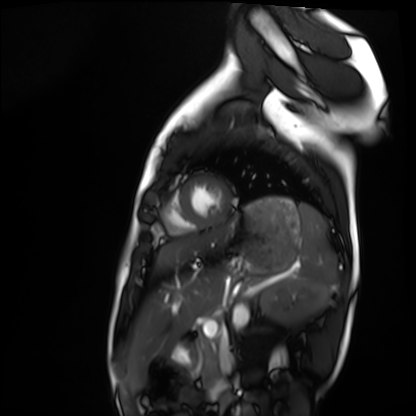
Cardiac MRI.
Subject group: healthy volunteer.